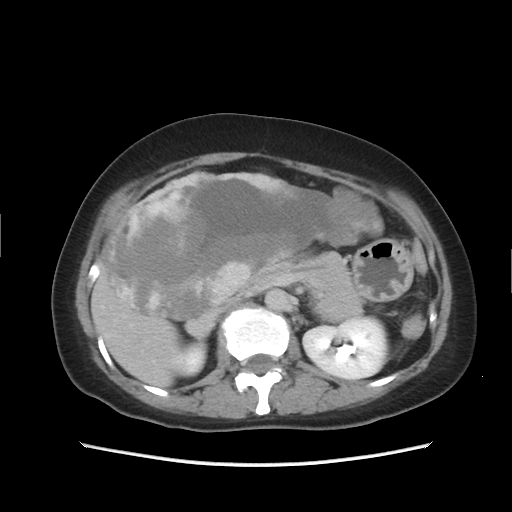
– modality — multiphase abdominal CT, liver, delayed phase
– patient — female, age 49